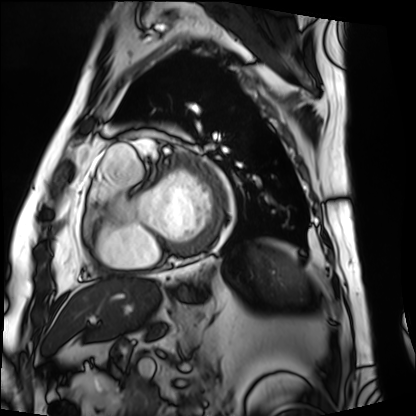
Case summary:
Cardiac MRI. Subject group: patient.